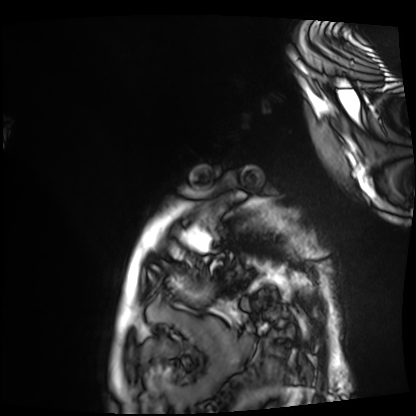
Case:
• modality — cardiac MRI
• subject group — patient